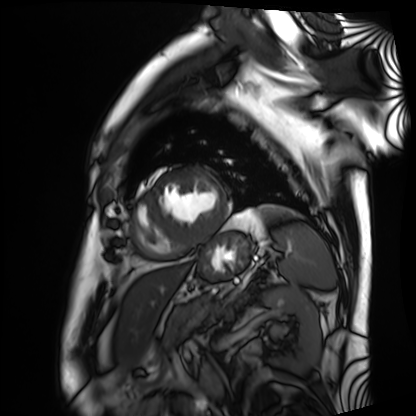
modality: cardiac MRI | subject group: patient.